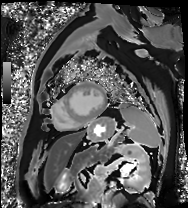
Cardiac MRI. Subject group: patient.